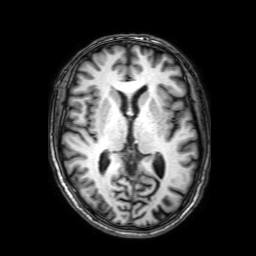
Summary: 3 Tesla brain MRI. Series: 3D T1-weighted with SENSE. Study: ring-enhancing brain masses.